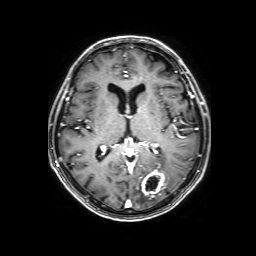
3 Tesla brain MRI.
Series: 3D T1-weighted with SENSE.
Study: ring-enhancing brain masses.